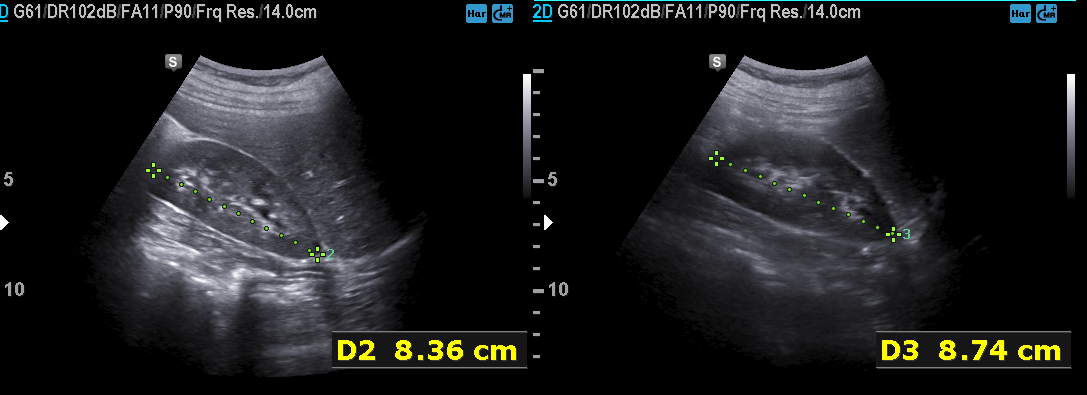
Q: What kind of scan is this?
A: Genitourinary ultrasound.